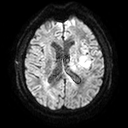
Summary: 3 Tesla brain MRI. Series: diffusion tensor imaging (medium iso). Study: ring-enhancing brain masses.